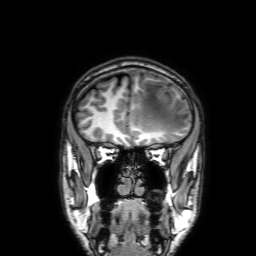
modality — 3 Tesla brain MRI
series — 3D T1-weighted with SENSE
study — ring-enhancing brain masses